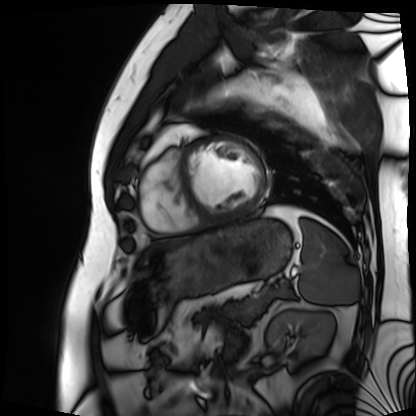
Case:
- modality: cardiac MRI
- subject group: patient